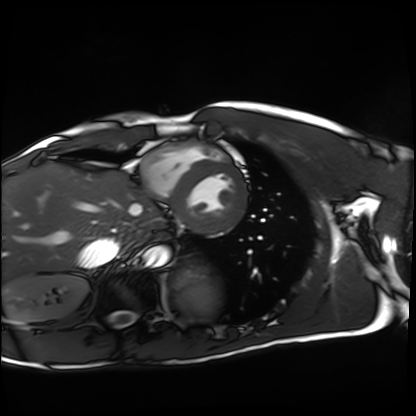
Cardiac MRI.
Subject group: healthy volunteer.